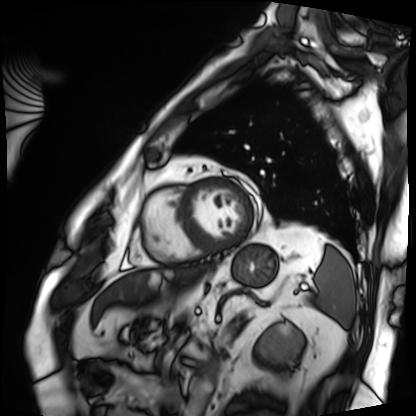
Clinical context: Cardiac MRI. Subject group: patient.